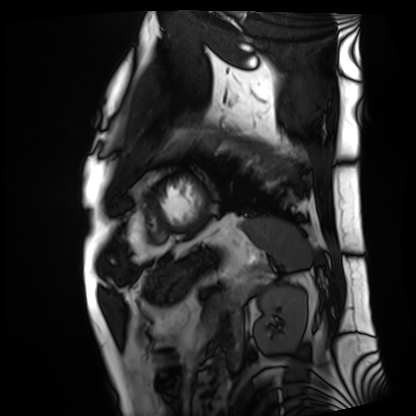
Cardiac MRI.
Subject group: patient.